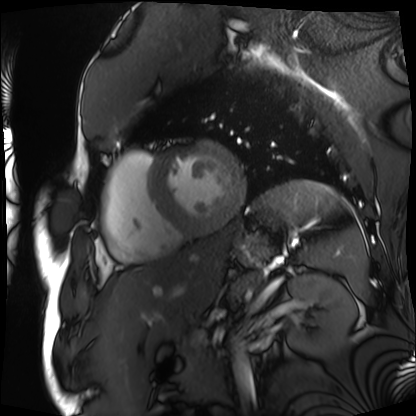
Cardiac MRI.
Subject group: patient.